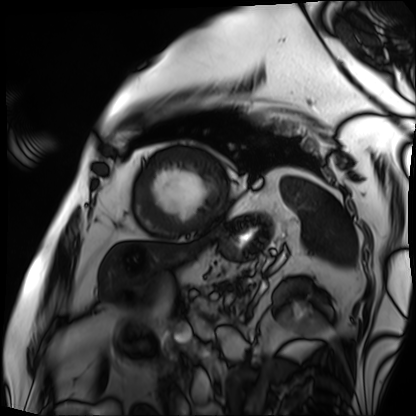
Q: What kind of scan is this?
A: Cardiac MRI.
Subject group: patient.